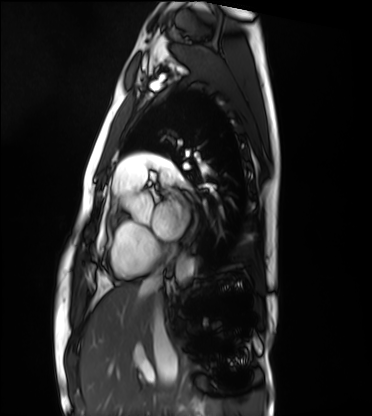
Summary:
Cardiac MRI. Subject group: healthy volunteer.